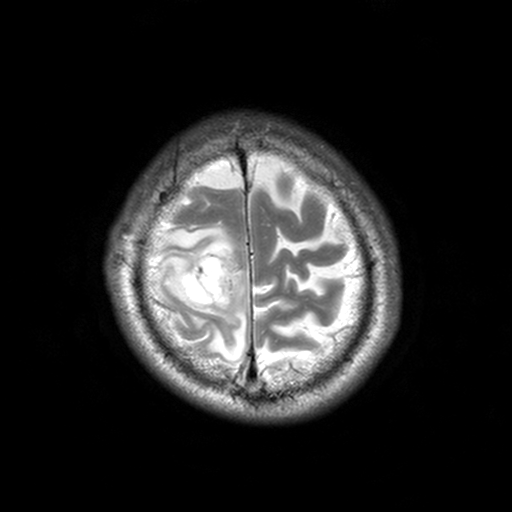
3 Tesla brain MRI.
Study: ring-enhancing brain masses.